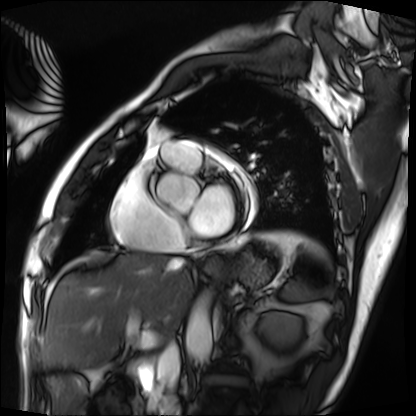
Clinical context:
Cardiac MRI. Subject group: patient.